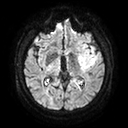
• modality: 3 Tesla brain MRI
• series: diffusion tensor imaging (medium iso)
• study: ring-enhancing brain masses